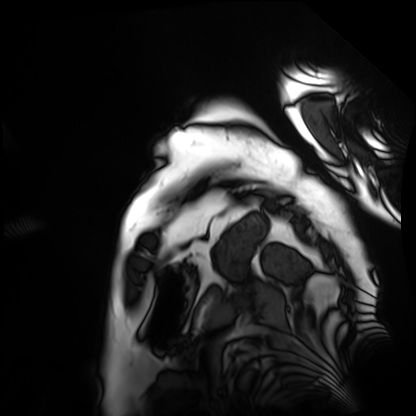
{"modality": "cardiac MRI", "cohort": "patient"}